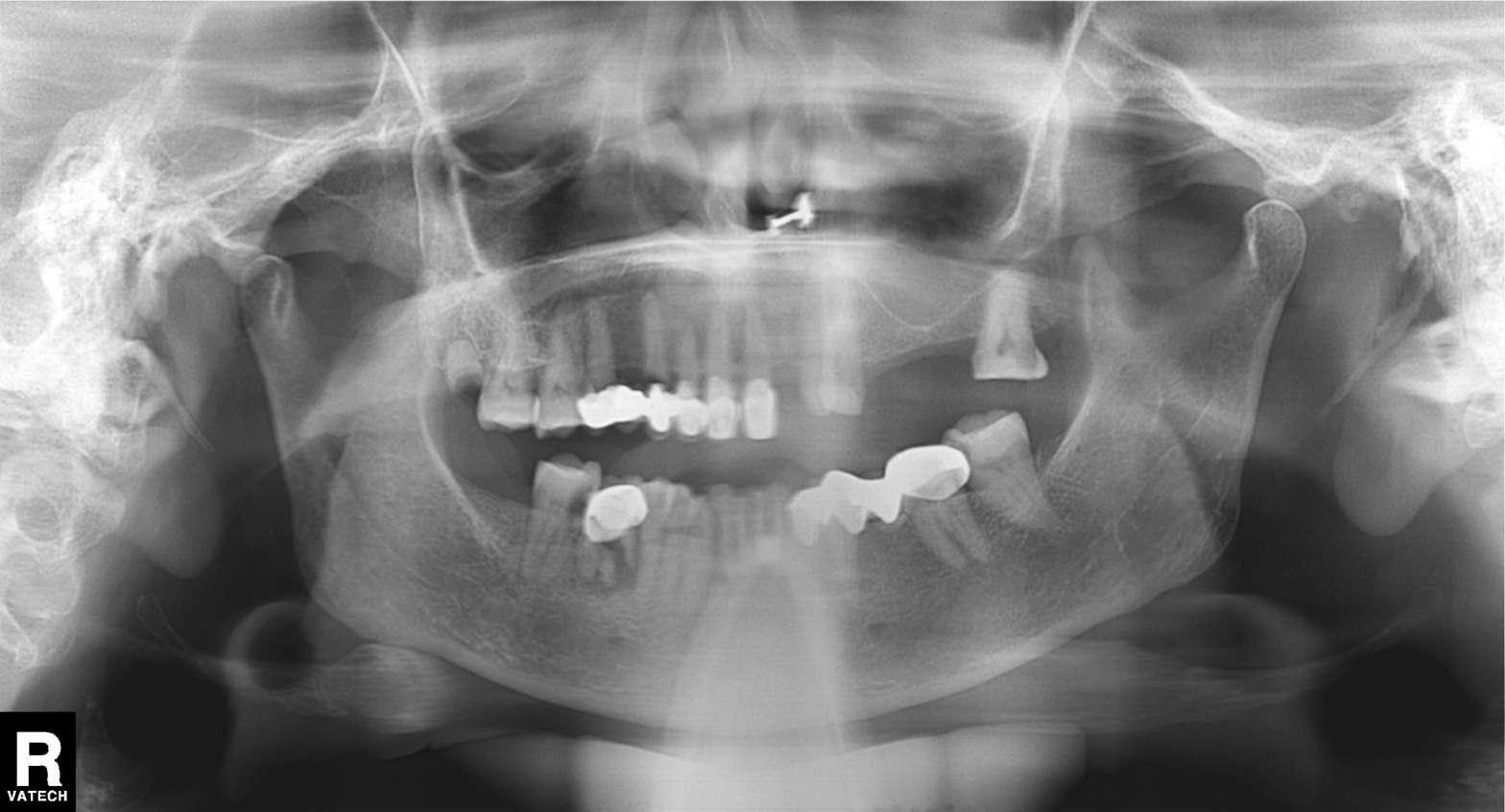
Panoramic dental radiograph (orthopantomogram). Finding: tooth impaction.